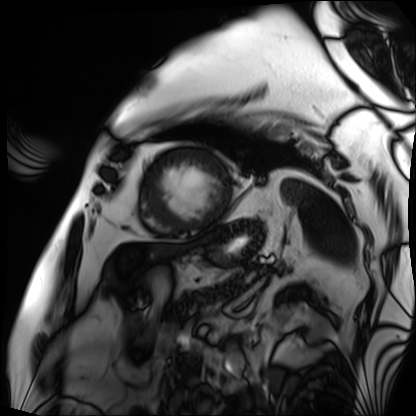
Clinical context:
Cardiac MRI. Subject group: patient.